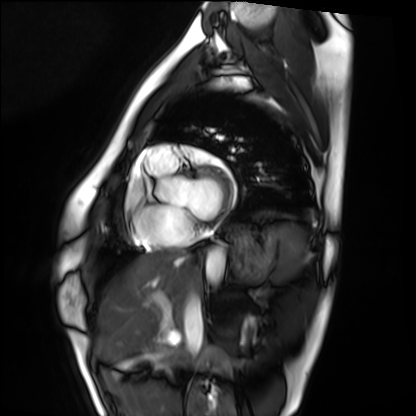
Cardiac MRI. Subject group: healthy volunteer.